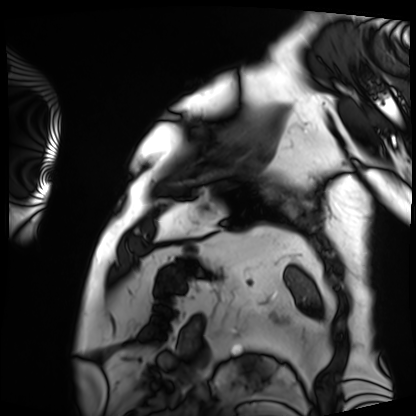
modality = cardiac MRI | subject group = patient.